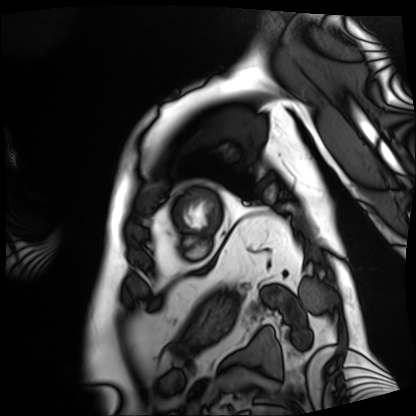
Case summary:
Cardiac MRI. Subject group: patient.